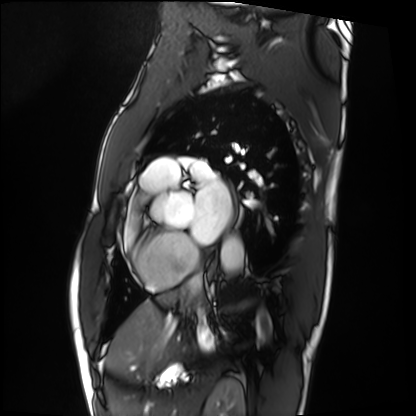
Cardiac MRI.
Subject group: patient.